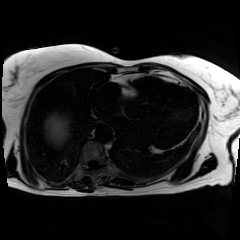
<study>
  <modality>chemical-shift-encoded cardiac MRI</modality>
</study>